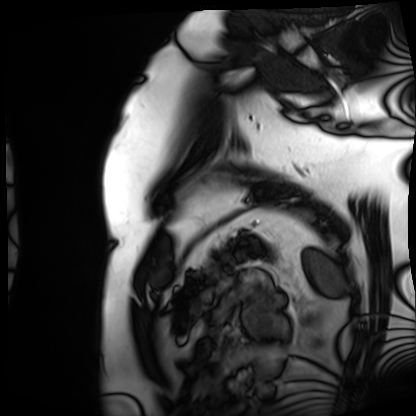
Cardiac MRI.
Subject group: patient.